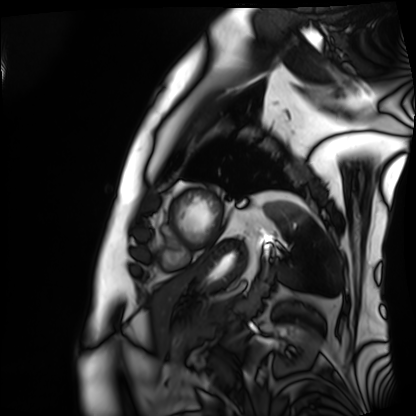
modality — cardiac MRI | subject group — patient.